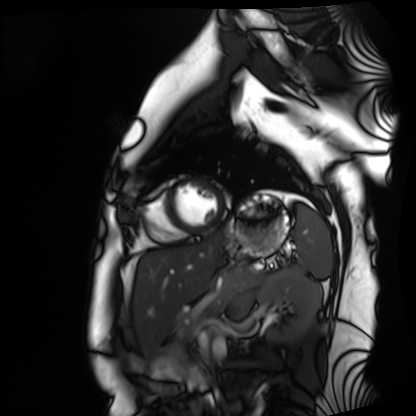
{"modality": "cardiac MRI", "cohort": "healthy volunteer"}